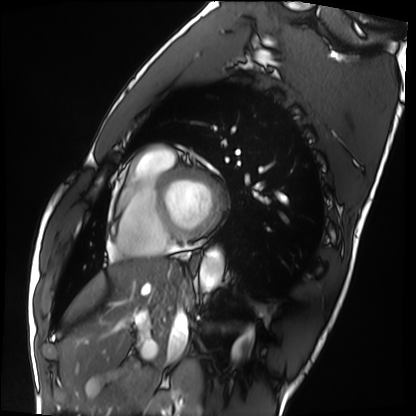
Cardiac MRI. Subject group: healthy volunteer.